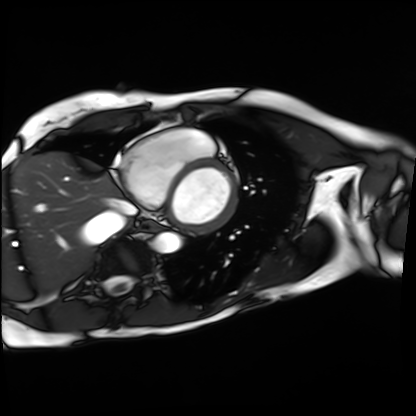
modality: cardiac MRI | subject group: patient.